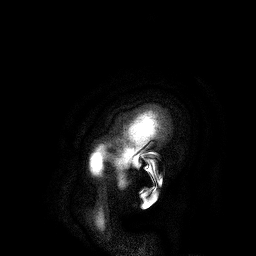
3 Tesla brain MRI. Study: ring-enhancing brain masses.